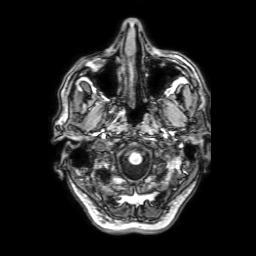
Case:
- modality · 3 Tesla brain MRI
- series · 3D T1-weighted with SENSE
- study · ring-enhancing brain masses